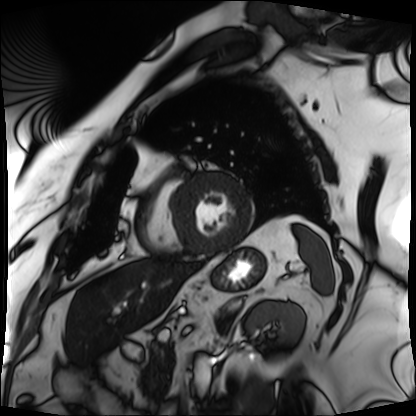
Cardiac MRI. Subject group: patient.